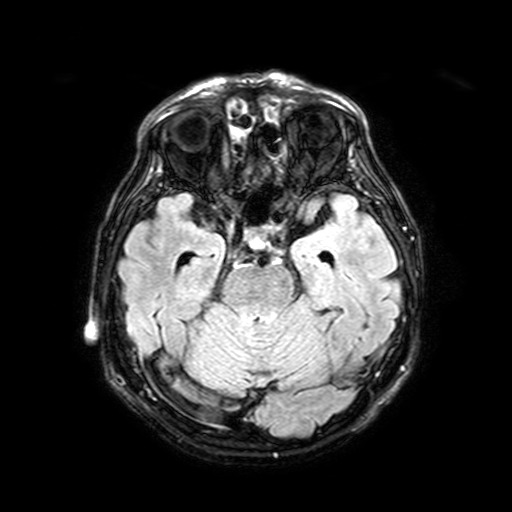
modality=3 Tesla brain MRI
series=FLAIR with SPAIR, 3 mm
study=ring-enhancing brain masses